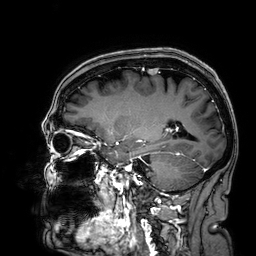
modality = 3 Tesla brain MRI
series = 3D T1-weighted
study = ring-enhancing brain masses